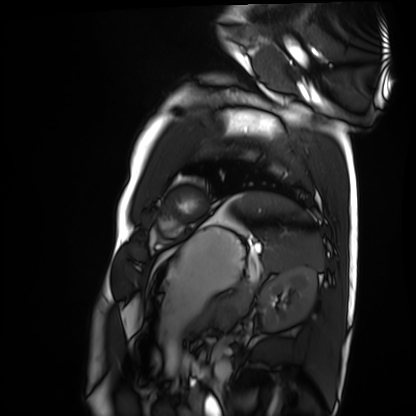
Case summary:
Cardiac MRI. Subject group: healthy volunteer.